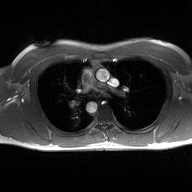
Q: What kind of scan is this?
A: 2D phase-contrast cine MRI of the ascending aorta.